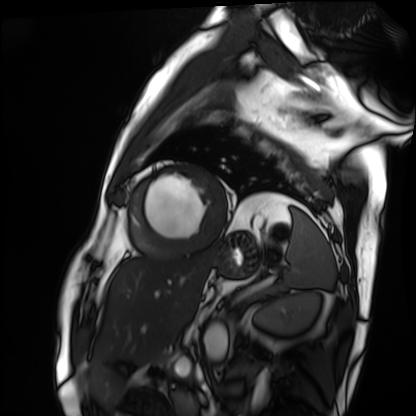
Cardiac MRI.
Subject group: patient.